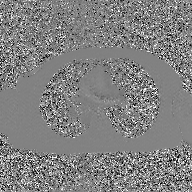
Q: What kind of scan is this?
A: 2D phase-contrast cine MRI of the ascending aorta, GAN super-resolution reconstruction.